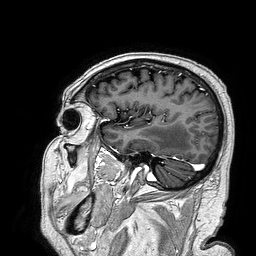
{
  "modality": {
    "type": "brain MRI",
    "field_strength": "3T"
  },
  "series": "3D T1-weighted turbo field echo",
  "study_topic": "ring-enhancing brain masses"
}